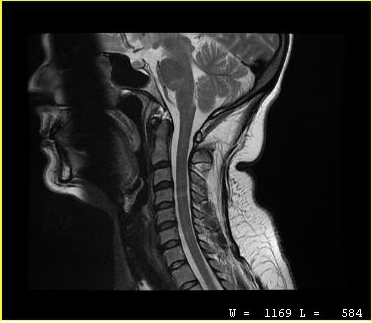
{
  "modality": {
    "type": "cervical spine MRI"
  },
  "study_topic": "cervical spondylosis"
}